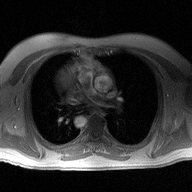
Q: What kind of scan is this?
A: 2D phase-contrast cine MRI of the ascending aorta.